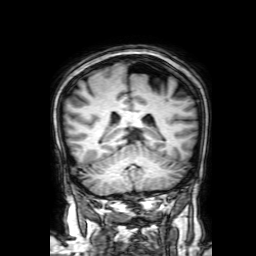
| field | value |
|---|---|
| modality | 3 Tesla brain MRI |
| series | 3D T1-weighted with SENSE |
| study | ring-enhancing brain masses |